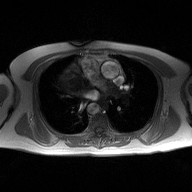
<record>
  <modality>
    <type>2D phase-contrast cine MRI</type>
    <region>ascending aorta</region>
    <reconstruction>high-resolution GRAPPA acquisition</reconstruction>
  </modality>
</record>